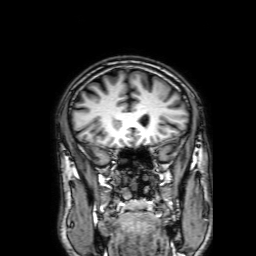
<scan>
<modality>
  <type>brain MRI</type>
  <field_strength>3T</field_strength>
</modality>
<series>3D T1-weighted with SENSE</series>
<study_topic>ring-enhancing brain masses</study_topic>
</scan>